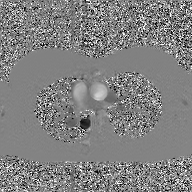
Q: What kind of scan is this?
A: 2D phase-contrast cine MRI of the ascending aorta, GAN super-resolution reconstruction.